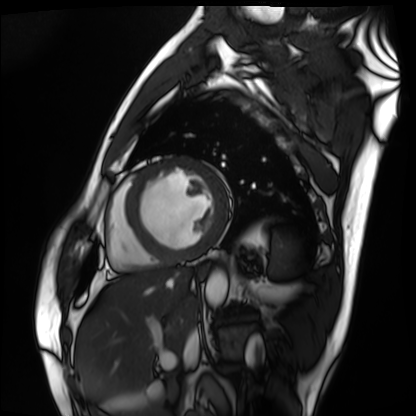
• modality · cardiac MRI
• subject group · patient